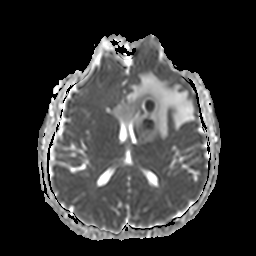
Q: What kind of scan is this?
A: 3 Tesla brain MRI.
Q: Series?
A: Apparent diffusion coefficient (ADC) map.
Study: ring-enhancing brain masses.